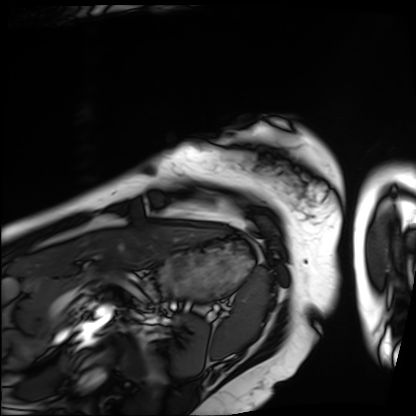
<record>
<modality>cardiac MRI</modality>
<cohort>patient</cohort>
</record>